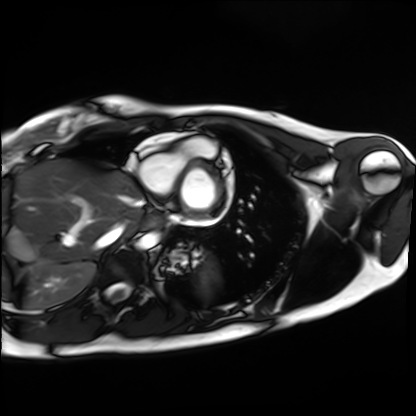
Cardiac MRI. Subject group: healthy volunteer.